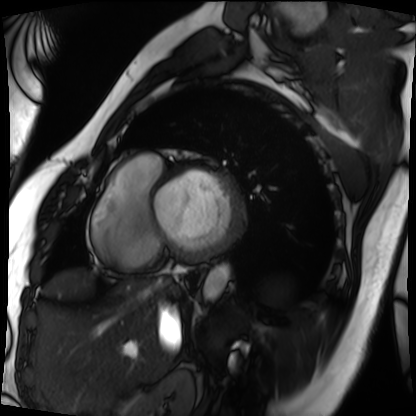
Cardiac MRI. Subject group: patient.